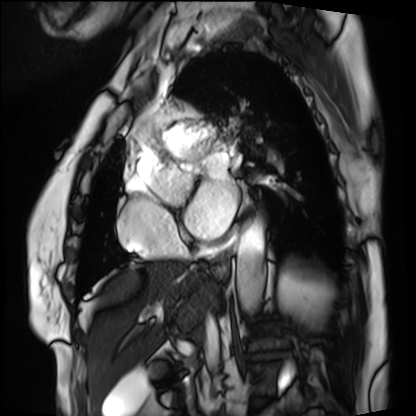
| field | value |
|---|---|
| modality | cardiac MRI |
| subject group | patient |